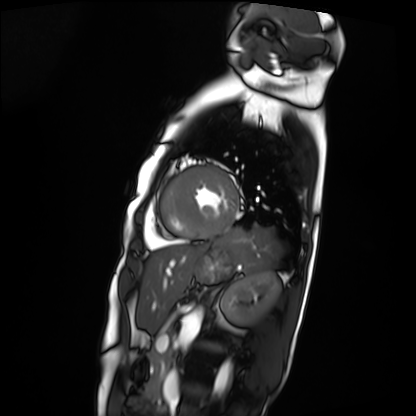
Q: What kind of scan is this?
A: Cardiac MRI.
Subject group: patient.